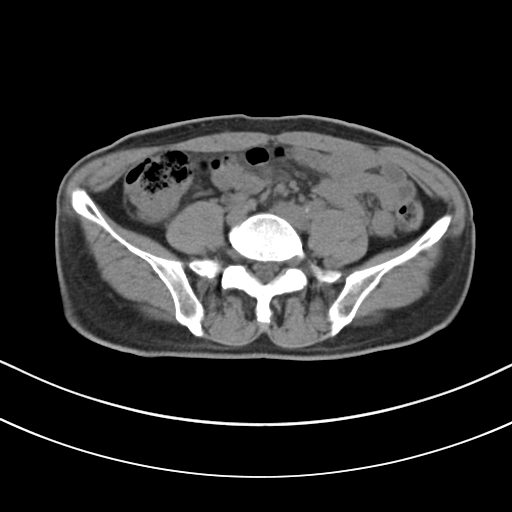
<study>
  <modality>
    <type>multiphase abdominal CT</type>
    <region>liver</region>
    <phase>non-contrast</phase>
  </modality>
  <patient>
    <sex>male</sex>
    <age>61</age>
  </patient>
</study>